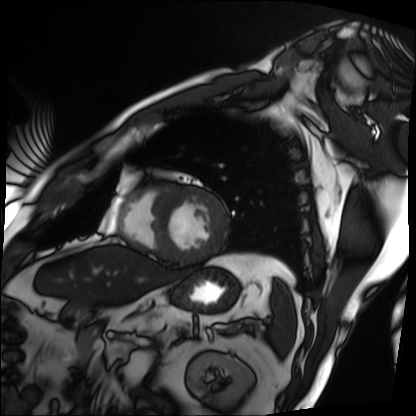
Case summary:
Cardiac MRI. Subject group: patient.